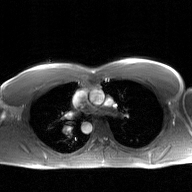
Case summary: 2D phase-contrast cine MRI of the ascending aorta, GAN super-resolution reconstruction.